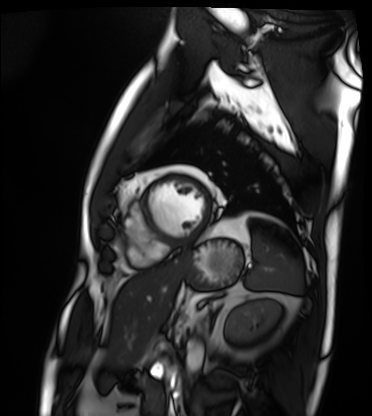
Cardiac MRI. Subject group: patient.